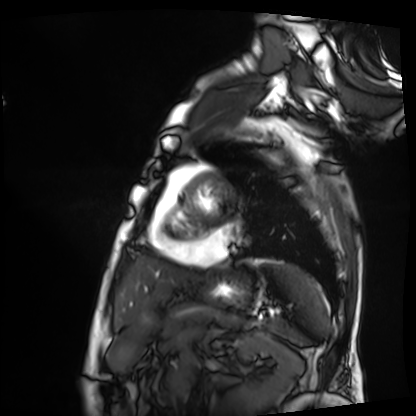
| field | value |
|---|---|
| modality | cardiac MRI |
| subject group | patient |